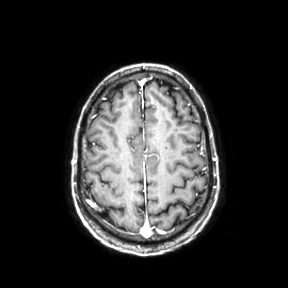
Summary: 3 Tesla brain MRI. Series: axial. Study: ring-enhancing brain masses.